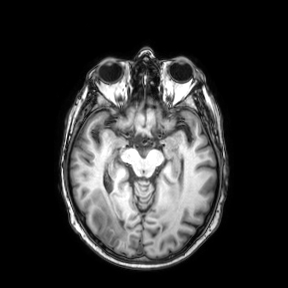
| field | value |
|---|---|
| modality | 3 Tesla brain MRI |
| series | axial |
| study | ring-enhancing brain masses |